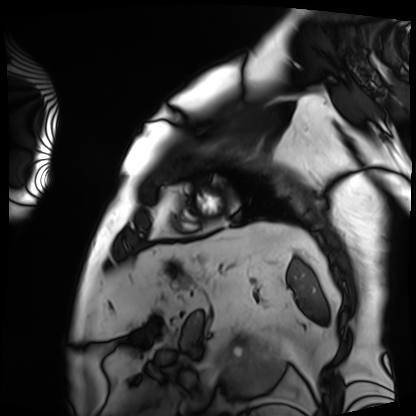
Cardiac MRI.
Subject group: patient.